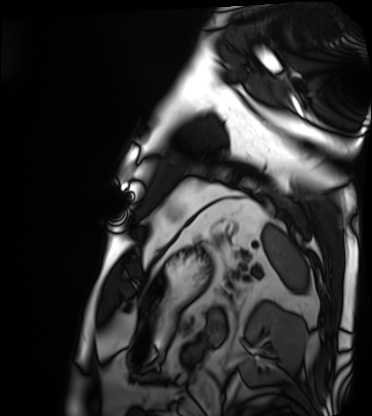
modality — cardiac MRI | subject group — patient.